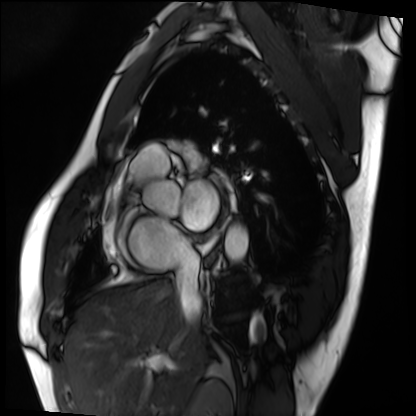
Cardiac MRI.
Subject group: patient.